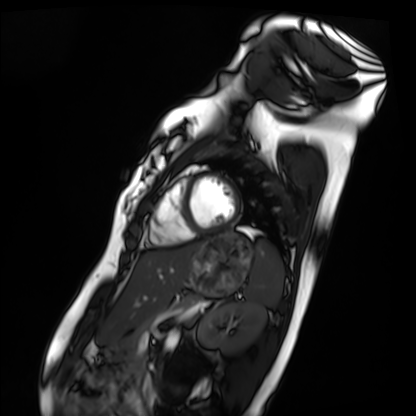
Case summary: Cardiac MRI. Subject group: healthy volunteer.